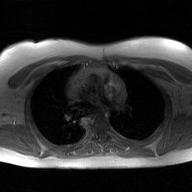
2D phase-contrast cine MRI of the ascending aorta, GAN super-resolution reconstruction.